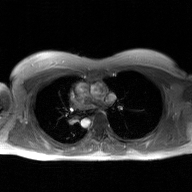
2D phase-contrast cine MRI of the ascending aorta, GAN super-resolution reconstruction.